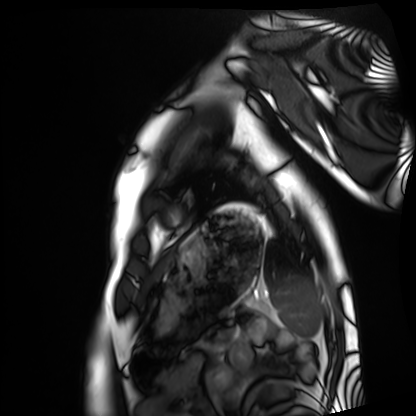
| field | value |
|---|---|
| modality | cardiac MRI |
| subject group | healthy volunteer |